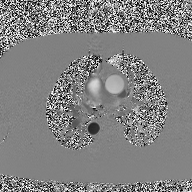
modality=2D phase-contrast cine MRI of the ascending aorta.